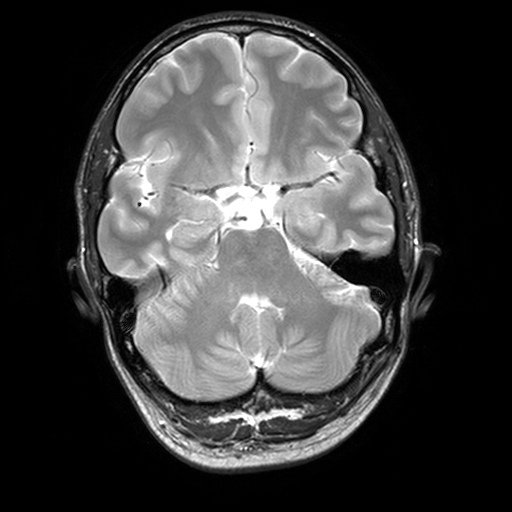
modality: 3 Tesla brain MRI; series: T2-weighted turbo spin echo, 3 mm; study: ring-enhancing brain masses.